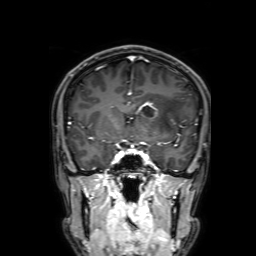
3 Tesla brain MRI. Study: ring-enhancing brain masses.